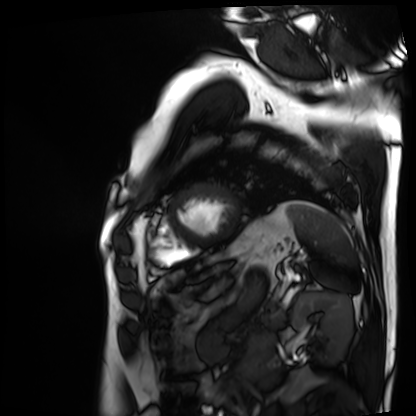
Summary: Cardiac MRI. Subject group: patient.